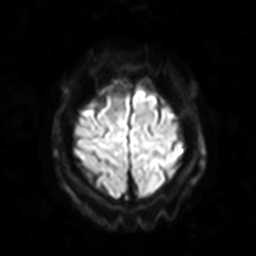
Case:
• modality · 3 Tesla brain MRI
• series · diffusion-weighted imaging with SENSE (WIP)
• study · ring-enhancing brain masses